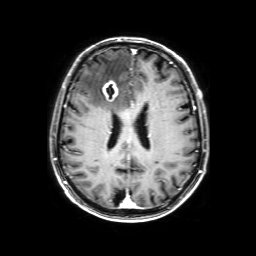
Q: What kind of scan is this?
A: 3 Tesla brain MRI.
Study: ring-enhancing brain masses.